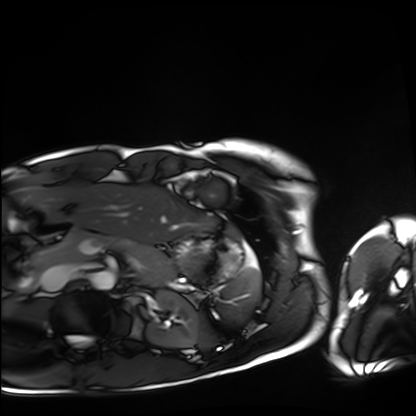
modality: cardiac MRI, subject group: healthy volunteer.